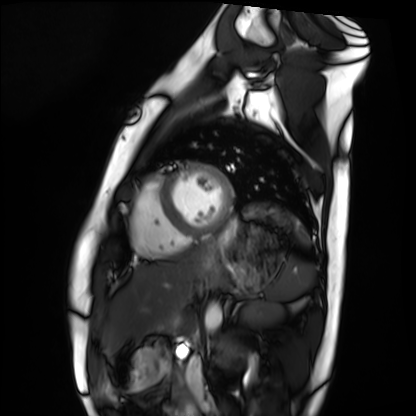
Cardiac MRI. Subject group: healthy volunteer.